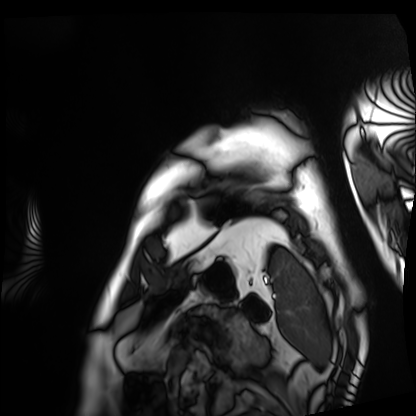
Case:
– modality · cardiac MRI
– subject group · patient